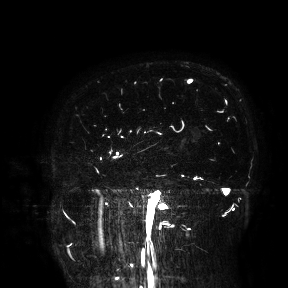
modality = 3 Tesla brain MRI | study = ring-enhancing brain masses.